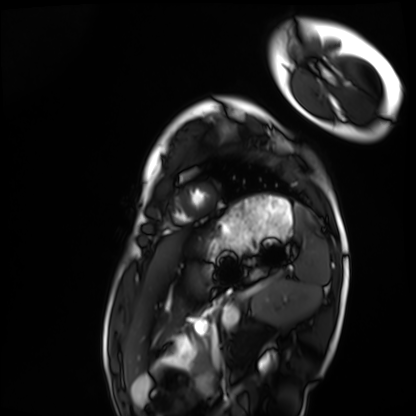
Cardiac MRI. Subject group: healthy volunteer.